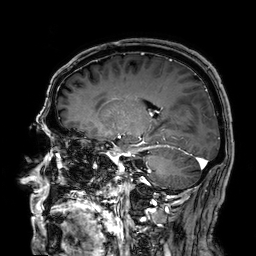
3 Tesla brain MRI. Series: 3D T1-weighted. Study: ring-enhancing brain masses.